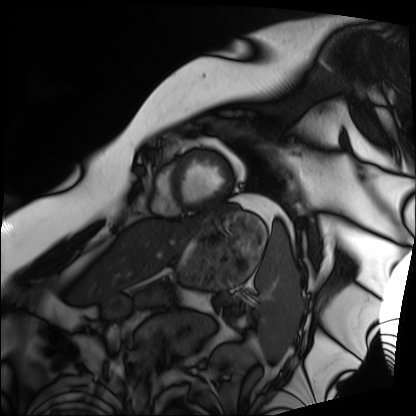
{"modality": "cardiac MRI", "cohort": "patient"}